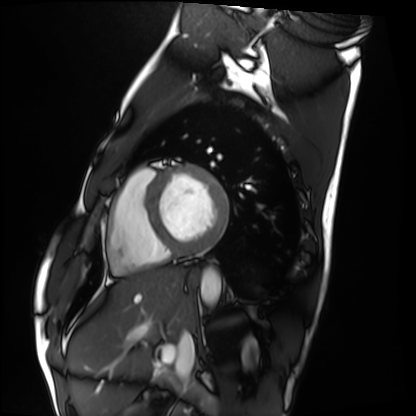
Cardiac MRI.
Subject group: healthy volunteer.